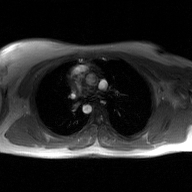
modality: 2D phase-contrast cine MRI of the ascending aorta, GAN super-resolution reconstruction.